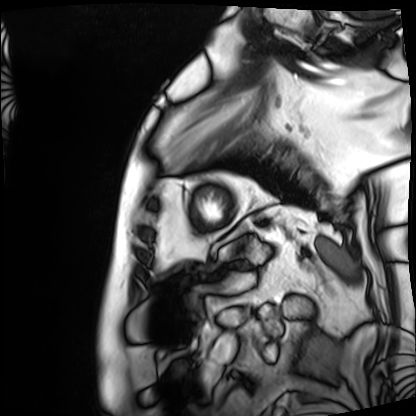
Cardiac MRI. Subject group: patient.